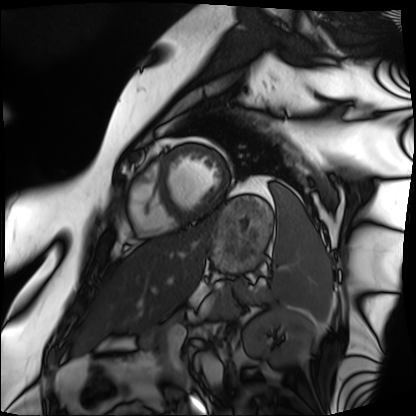
Cardiac MRI.
Subject group: patient.